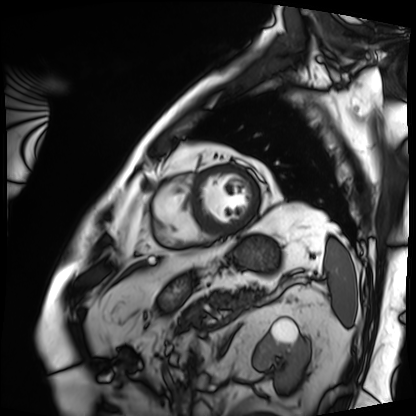
Cardiac MRI.
Subject group: patient.